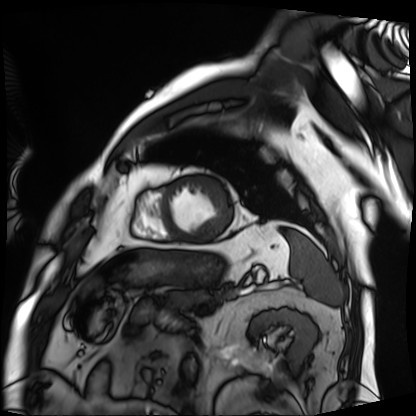
Q: What kind of scan is this?
A: Cardiac MRI.
Subject group: patient.